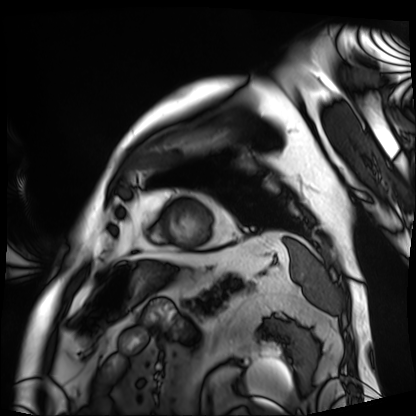
Summary: Cardiac MRI. Subject group: patient.